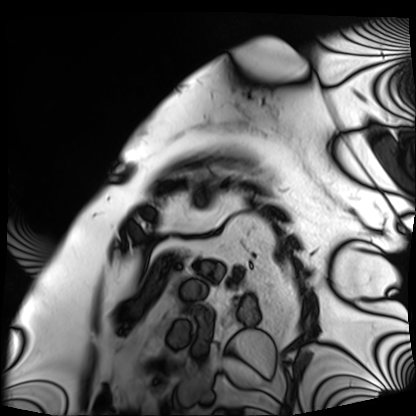
Case:
• modality — cardiac MRI
• subject group — patient